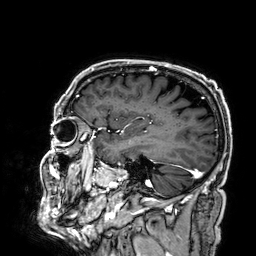
modality = 3 Tesla brain MRI
series = 3D T1-weighted
study = ring-enhancing brain masses